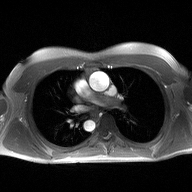
Summary: 2D phase-contrast cine MRI of the ascending aorta, high-resolution GRAPPA acquisition.